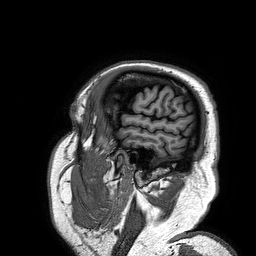
– modality: 3 Tesla brain MRI
– series: 3D T1-weighted turbo field echo
– study: ring-enhancing brain masses